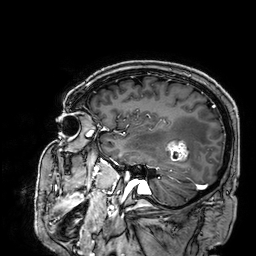
modality: 3 Tesla brain MRI; series: 3D T1-weighted; study: ring-enhancing brain masses.